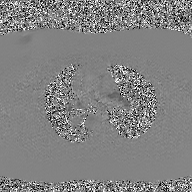
modality: 2D phase-contrast cine MRI of the ascending aorta, GAN super-resolution reconstruction.